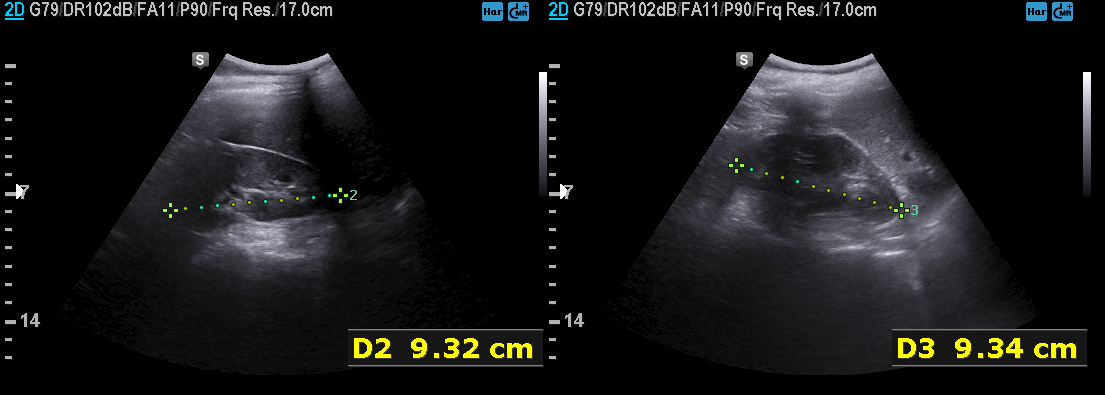
Genitourinary ultrasound.